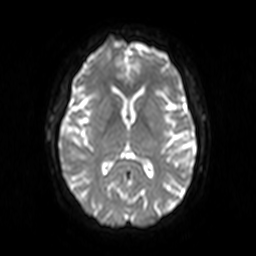
3 Tesla brain MRI.
Series: diffusion-weighted imaging.
Study: ring-enhancing brain masses.